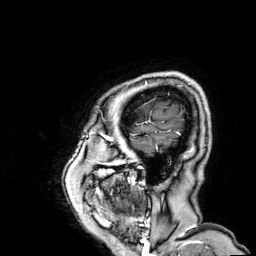
modality: 3 Tesla brain MRI
series: 3D T1-weighted
study: ring-enhancing brain masses